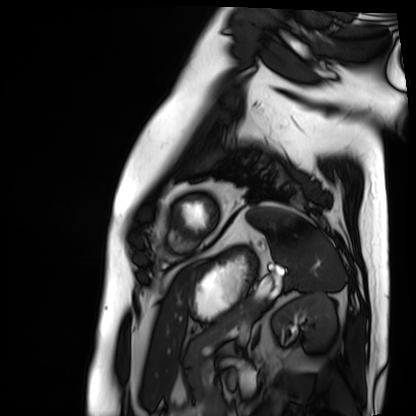
Case:
* modality: cardiac MRI
* subject group: patient